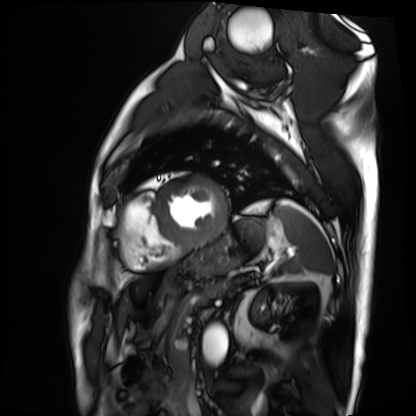
Case summary:
Cardiac MRI. Subject group: patient.